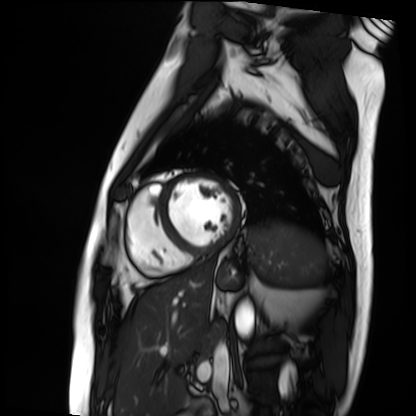
Summary:
Cardiac MRI. Subject group: patient.